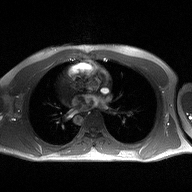
2D phase-contrast cine MRI of the ascending aorta, high-resolution GRAPPA acquisition.